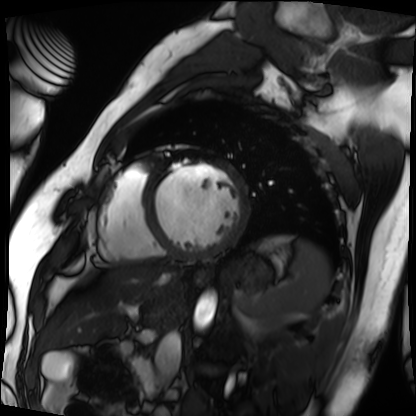
{"modality": "cardiac MRI", "cohort": "patient"}